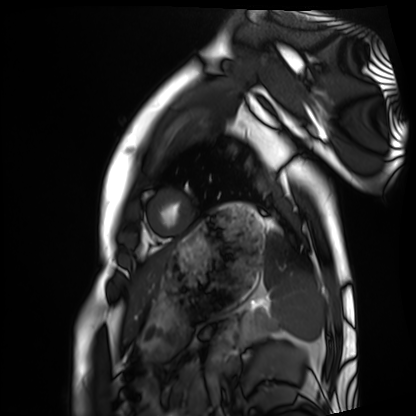
Case summary:
Cardiac MRI. Subject group: healthy volunteer.